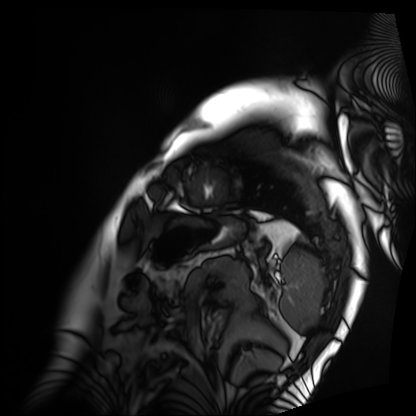
modality = cardiac MRI, subject group = patient.